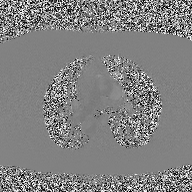
Summary: 2D phase-contrast cine MRI of the ascending aorta, high-resolution GRAPPA acquisition.